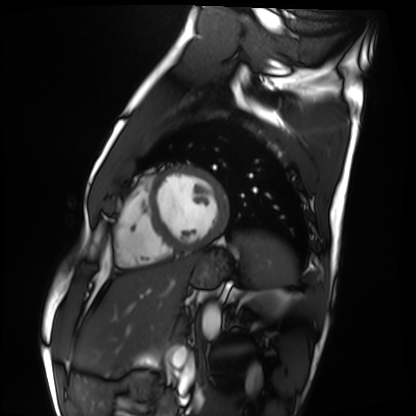
Cardiac MRI. Subject group: healthy volunteer.